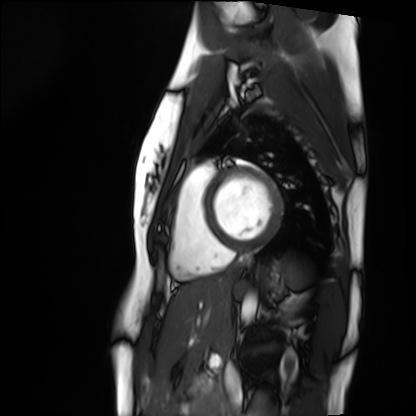
Q: What kind of scan is this?
A: Cardiac MRI.
Subject group: healthy volunteer.